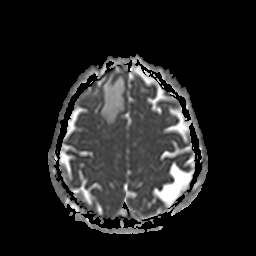
| field | value |
|---|---|
| modality | 3 Tesla brain MRI |
| series | apparent diffusion coefficient (ADC) map |
| study | ring-enhancing brain masses |